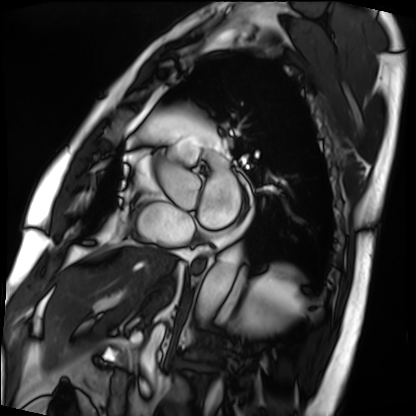
Summary: Cardiac MRI. Subject group: patient.